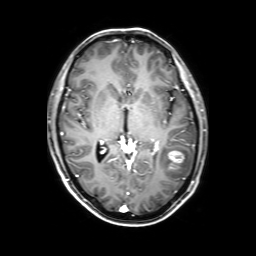
3 Tesla brain MRI.
Series: 3D T1-weighted with SENSE.
Study: ring-enhancing brain masses.